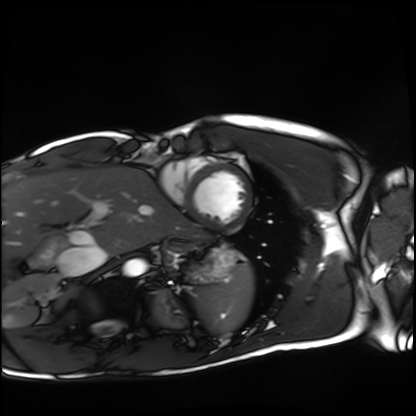
Cardiac MRI.
Subject group: healthy volunteer.